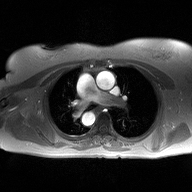
<case>
  <modality>
    <type>2D phase-contrast cine MRI</type>
    <region>ascending aorta</region>
    <reconstruction>high-resolution GRAPPA acquisition</reconstruction>
  </modality>
</case>